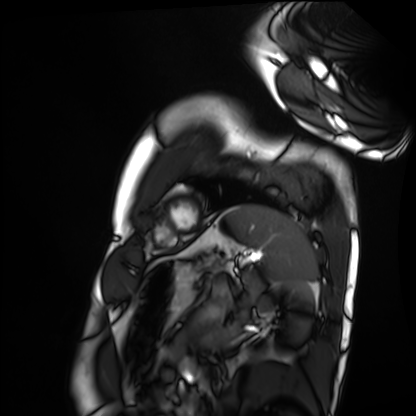
Clinical context: Cardiac MRI. Subject group: healthy volunteer.